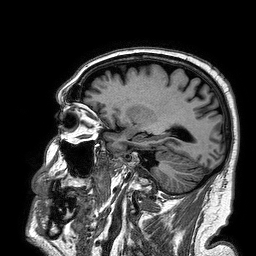
modality: 3 Tesla brain MRI | series: 3D T1-weighted turbo field echo | study: ring-enhancing brain masses.